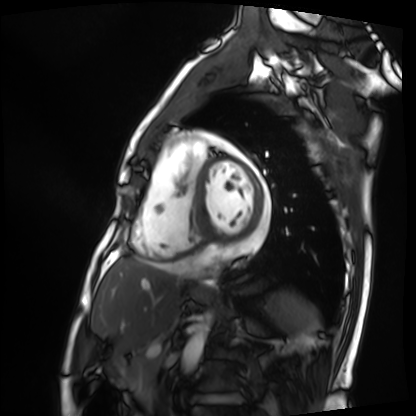
<scan>
  <modality>cardiac MRI</modality>
  <cohort>patient</cohort>
</scan>